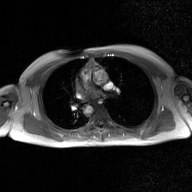
<case>
<modality>
  <type>2D phase-contrast cine MRI</type>
  <region>ascending aorta</region>
  <reconstruction>GAN super-resolution reconstruction</reconstruction>
</modality>
</case>